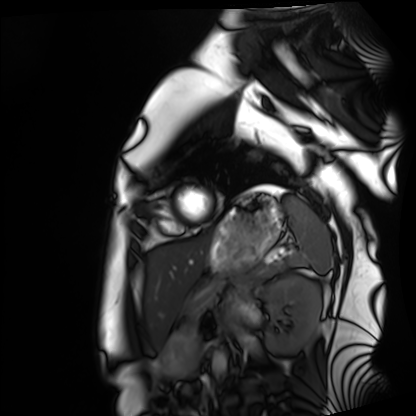
Cardiac MRI. Subject group: healthy volunteer.